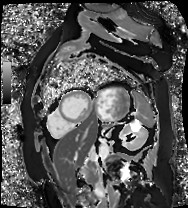
Cardiac MR image of the myocardium. Subject cohort: cardiac patient.